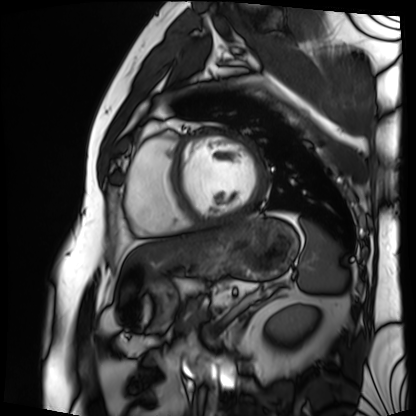
<record>
  <modality>cardiac MRI</modality>
  <cohort>patient</cohort>
</record>